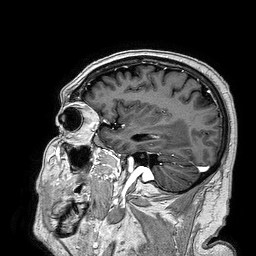
modality: 3 Tesla brain MRI; series: 3D T1-weighted turbo field echo; study: ring-enhancing brain masses.